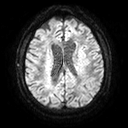
modality: 3 Tesla brain MRI | series: diffusion tensor imaging (medium iso) | study: ring-enhancing brain masses.